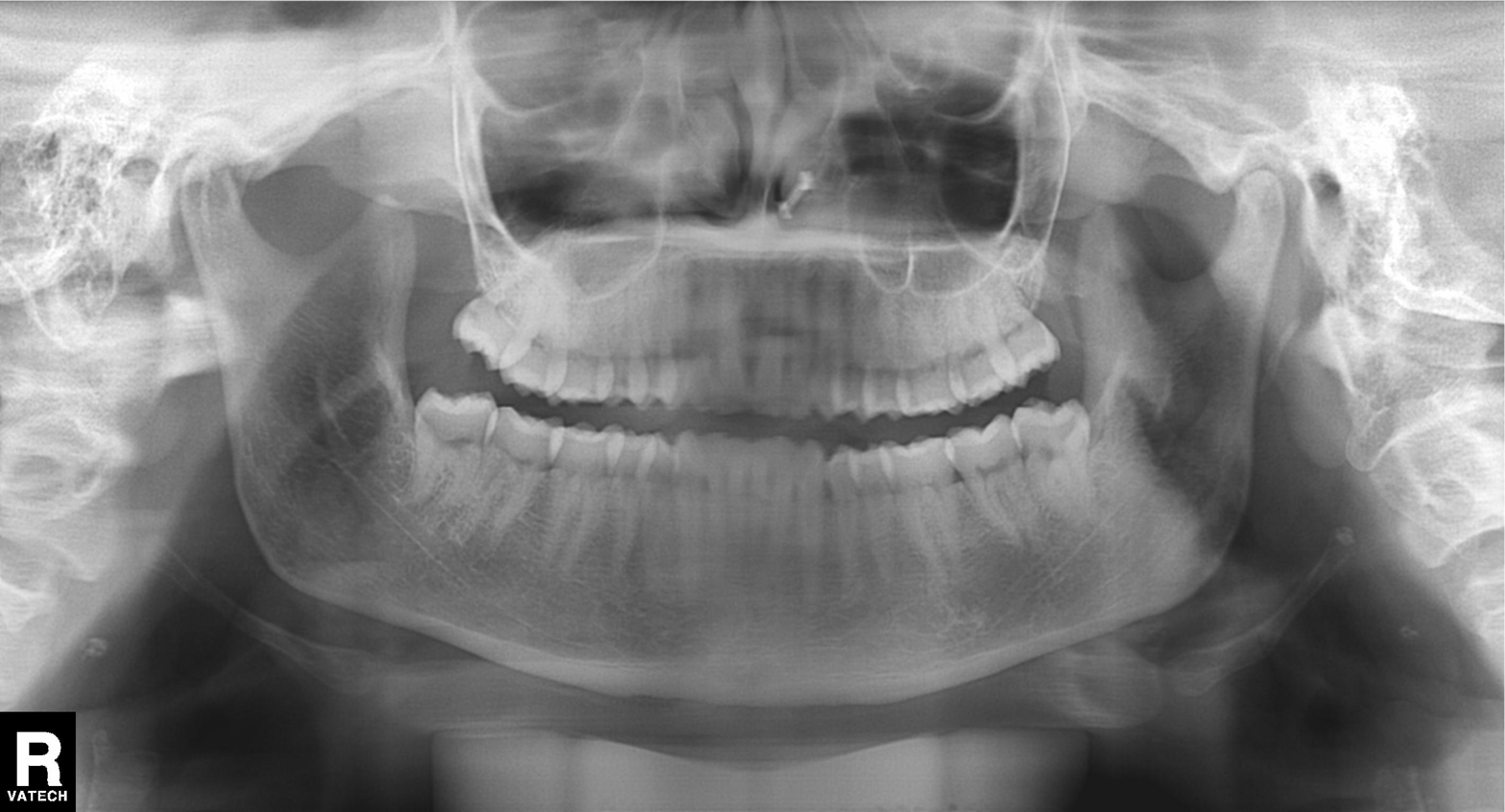
modality — panoramic dental radiograph (orthopantomogram)
finding — dental caries (cavities)